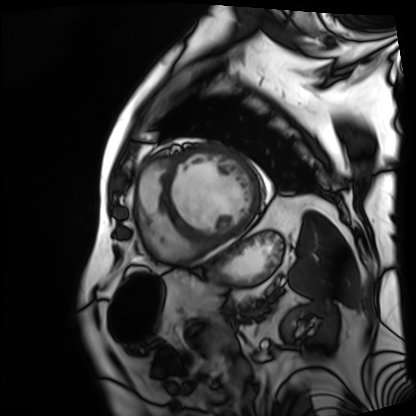
| field | value |
|---|---|
| modality | cardiac MRI |
| subject group | patient |